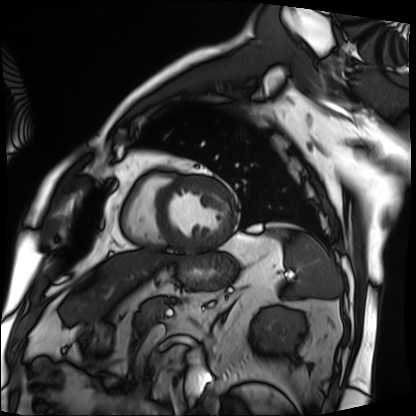
Case summary: Cardiac MRI. Subject group: patient.